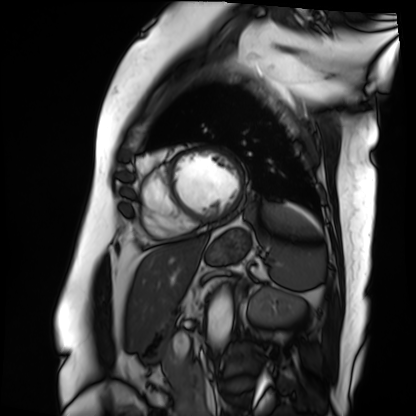
– modality · cardiac MRI
– subject group · patient